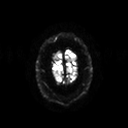
Case:
– modality — 3 Tesla brain MRI
– series — diffusion tensor imaging (medium iso)
– study — ring-enhancing brain masses